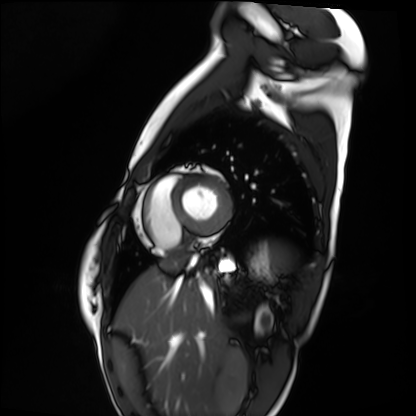
Case summary:
Cardiac MRI. Subject group: healthy volunteer.